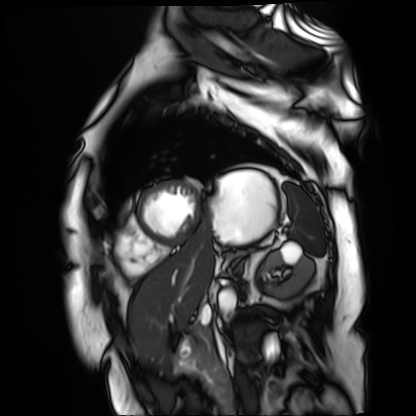
Cardiac MR image of the myocardium. Subject cohort: cardiac patient.